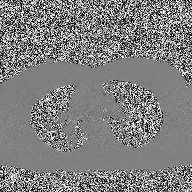
Clinical context:
2D phase-contrast cine MRI of the ascending aorta, high-resolution GRAPPA acquisition.